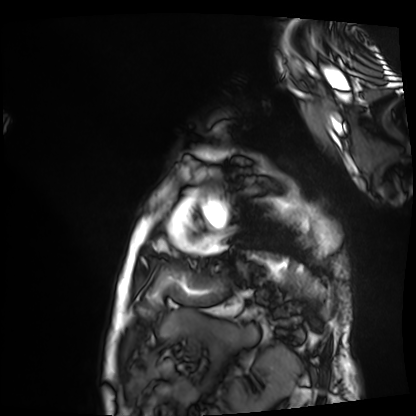
modality: cardiac MRI
cohort: patient